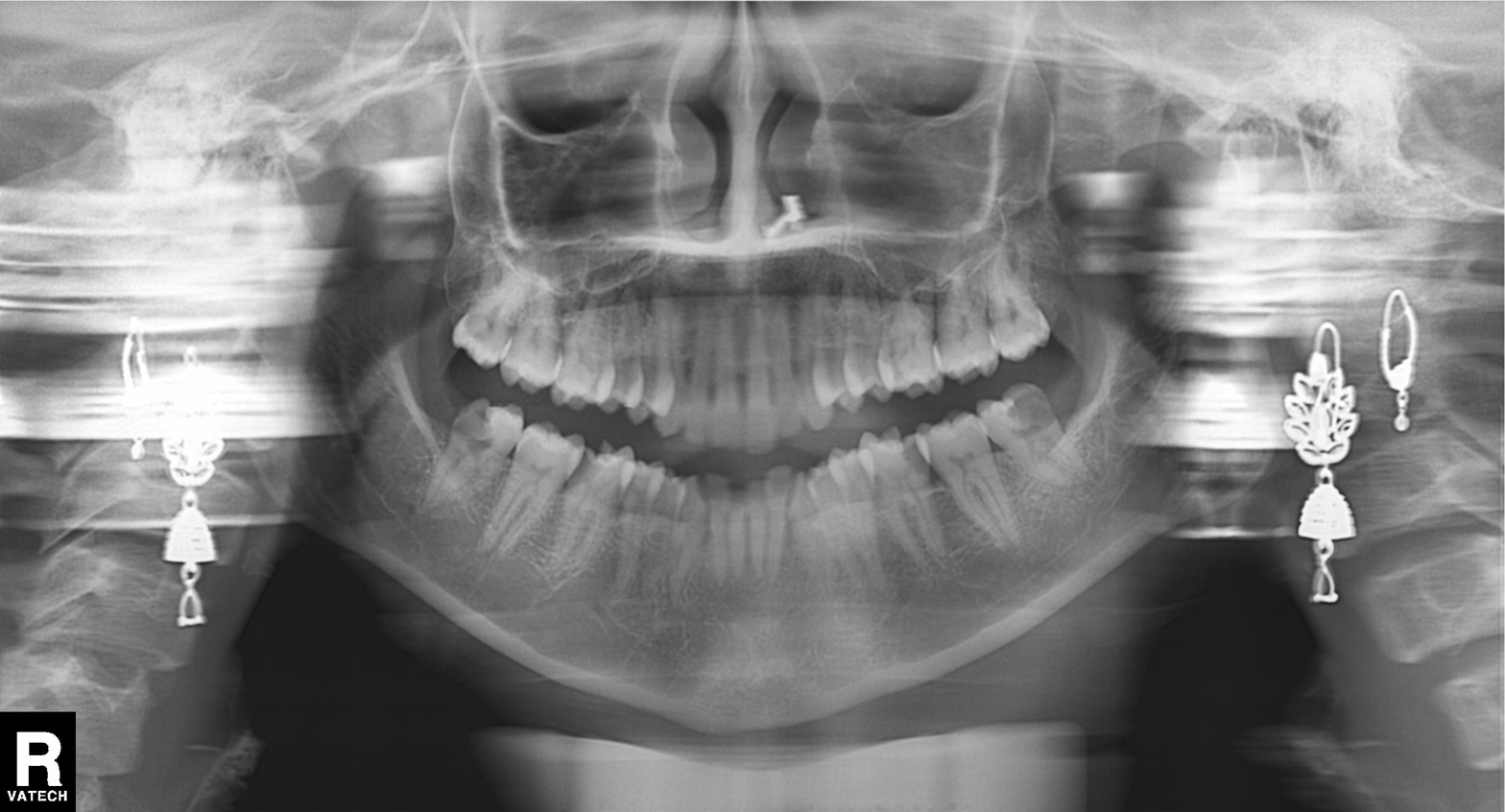
Q: What kind of scan is this?
A: Panoramic dental radiograph (orthopantomogram).
Q: What is the radiographic finding?
A: Dental caries (cavities).